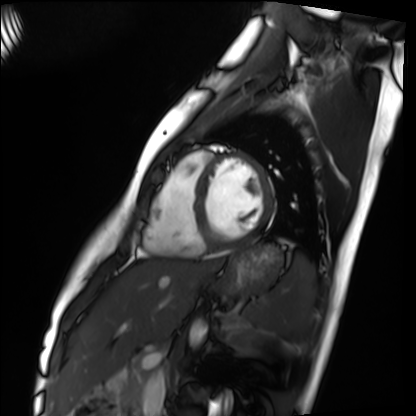
modality: cardiac MRI; subject group: healthy volunteer.